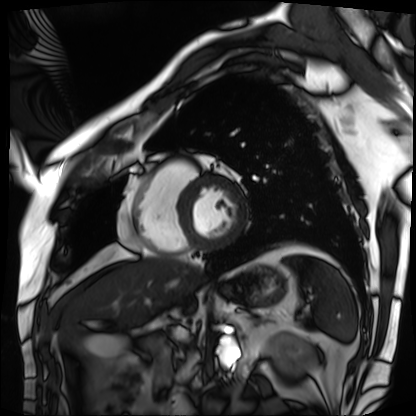
Q: What kind of scan is this?
A: Cardiac MRI.
Subject group: patient.